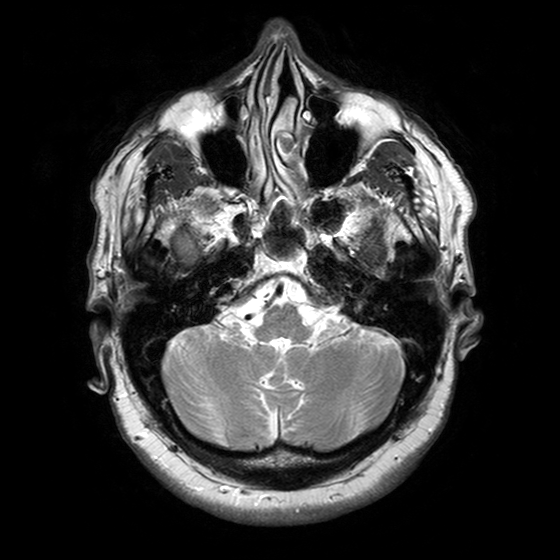
{"modality": {"type": "brain MRI", "field_strength": "3T"}, "series": "T2-weighted turbo spin echo with SENSE", "study_topic": "ring-enhancing brain masses"}